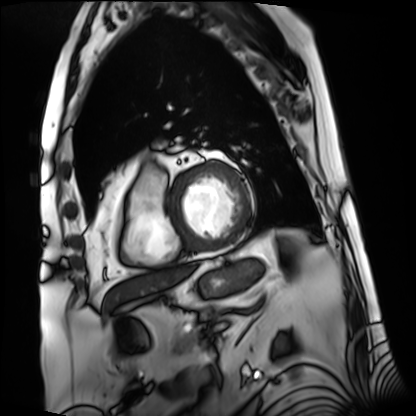
Summary: Cardiac MRI. Subject group: patient.